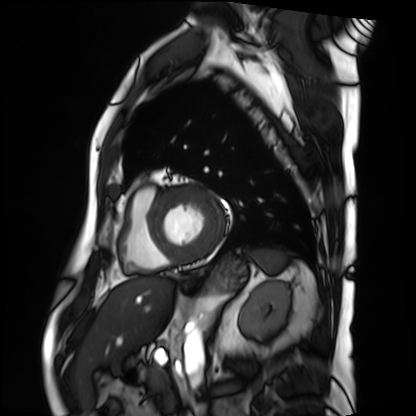
Case summary: Cardiac MRI. Subject group: patient.